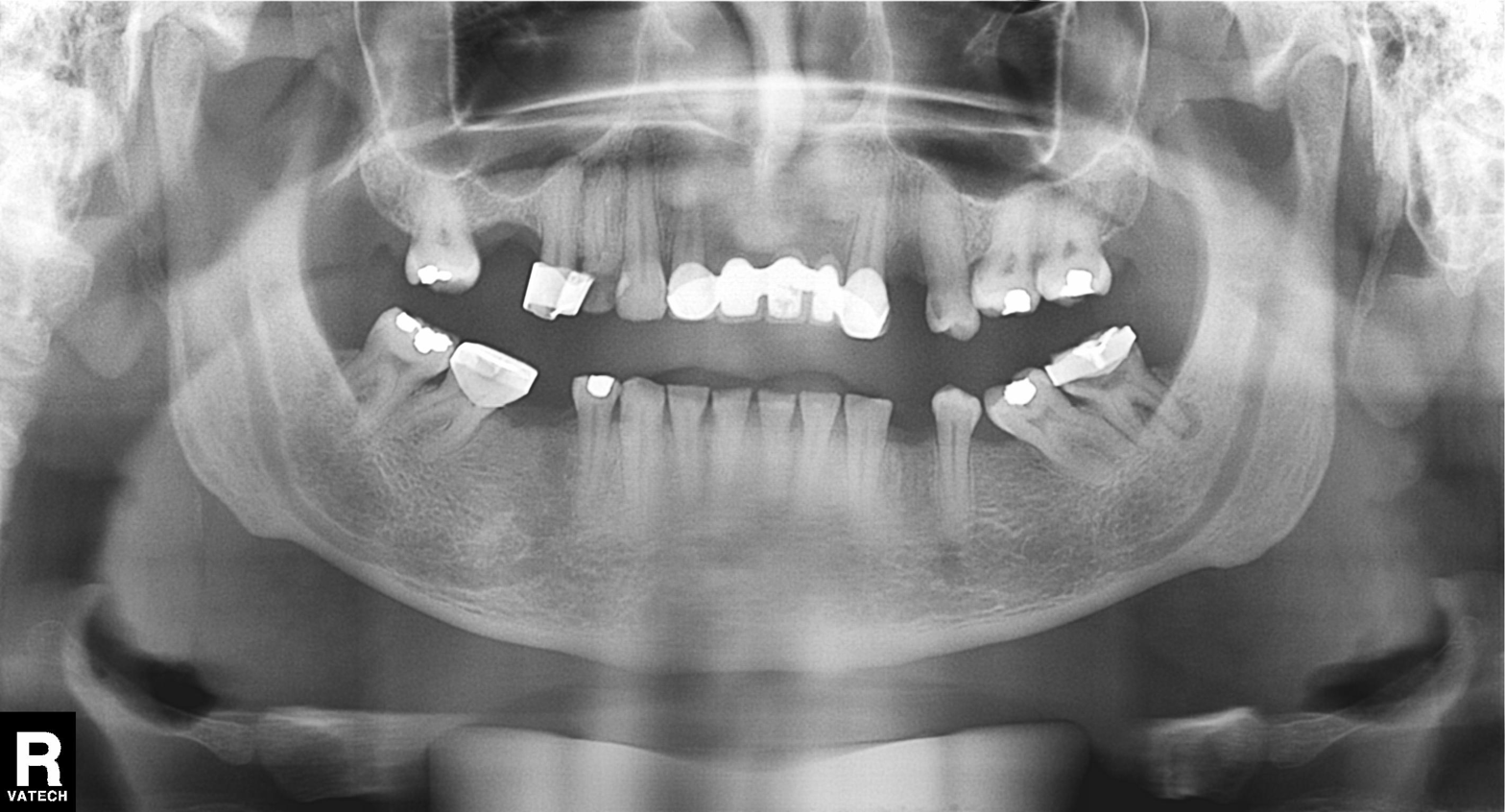
Summary:
Panoramic dental radiograph (orthopantomogram).
Impression:
Dental caries (cavities).